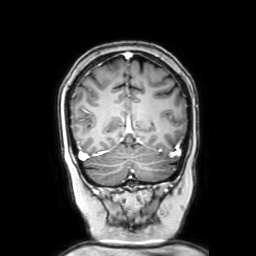
Case:
- modality: 3 Tesla brain MRI
- series: coronal with contrast
- study: ring-enhancing brain masses